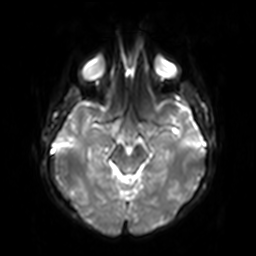
Summary: 3 Tesla brain MRI. Series: diffusion-weighted imaging with SENSE (WIP). Study: ring-enhancing brain masses.